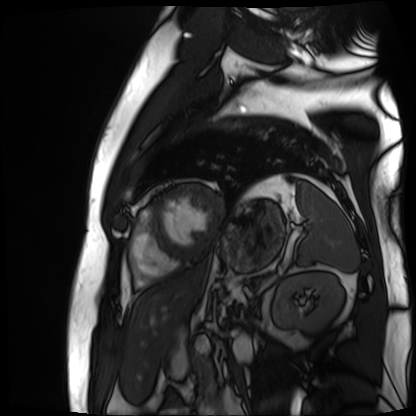
Cardiac MR image of the myocardium. Subject cohort: cardiac patient.